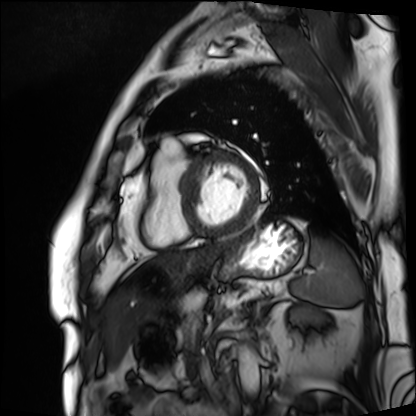
Cardiac MRI. Subject group: patient.